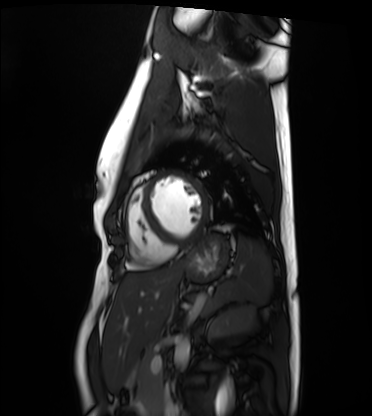
Cardiac MRI. Subject group: healthy volunteer.